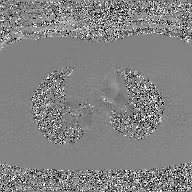
modality = 2D phase-contrast cine MRI of the ascending aorta, GAN super-resolution reconstruction.